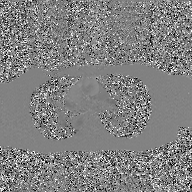
2D phase-contrast cine MRI of the ascending aorta, GAN super-resolution reconstruction.